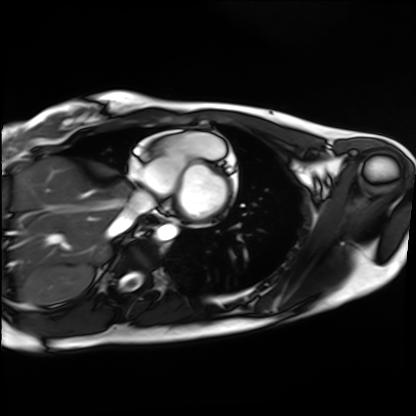
Summary:
Cardiac MRI. Subject group: healthy volunteer.